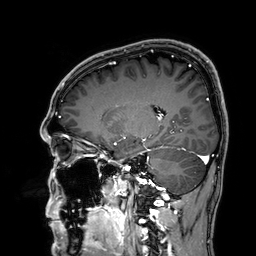
- modality — 3 Tesla brain MRI
- series — 3D T1-weighted
- study — ring-enhancing brain masses